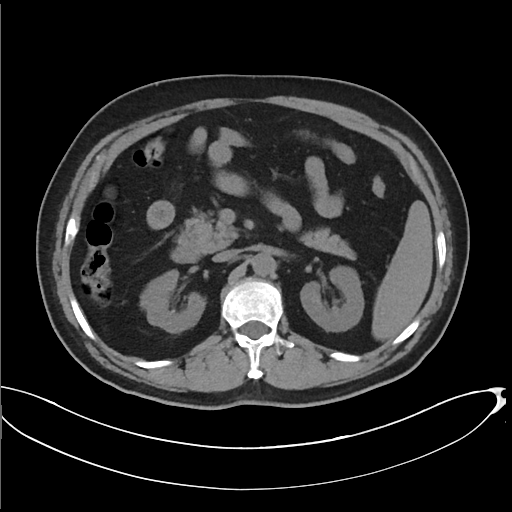
Multiphase abdominal CT, liver, non-contrast phase. Patient: male, age 67. History: cirrhosis, viral hepatitis.